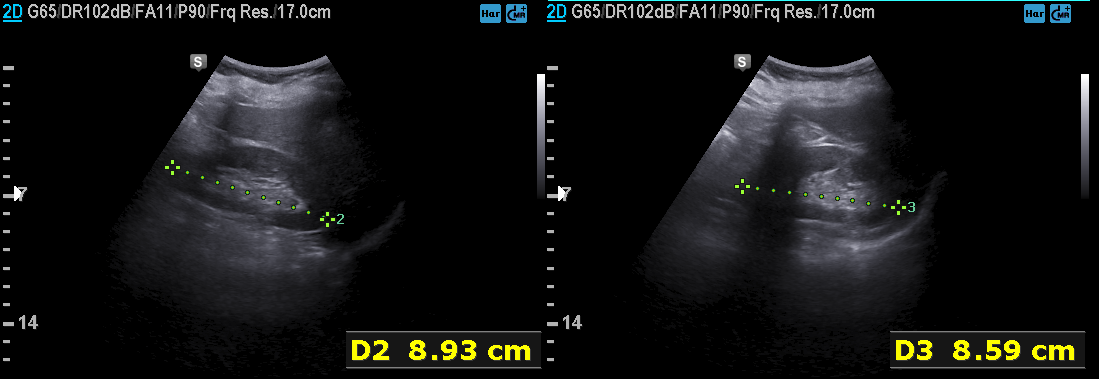
{"modality": {"type": "genitourinary ultrasound"}}